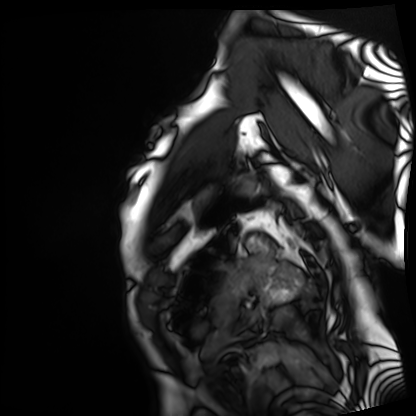
Cardiac MRI. Subject group: patient.